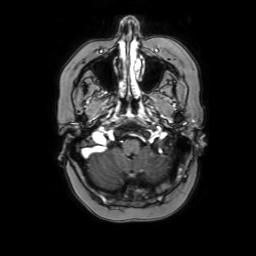
modality — 3 Tesla brain MRI
series — axial with contrast
study — ring-enhancing brain masses